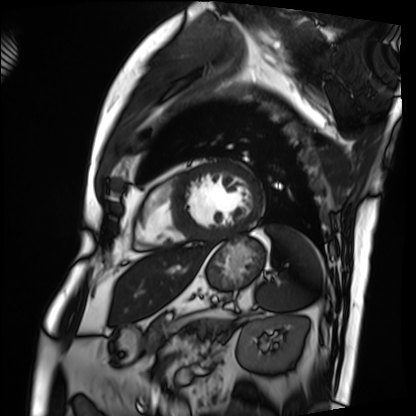
modality = cardiac MRI, subject group = patient.